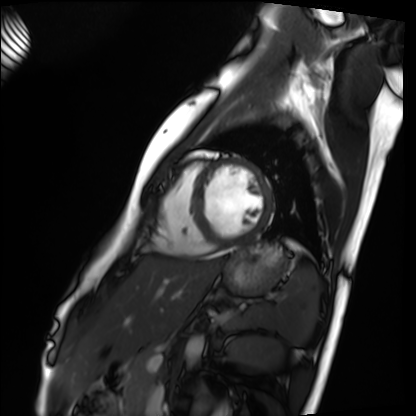
{
  "modality": "cardiac MRI",
  "cohort": "healthy volunteer"
}